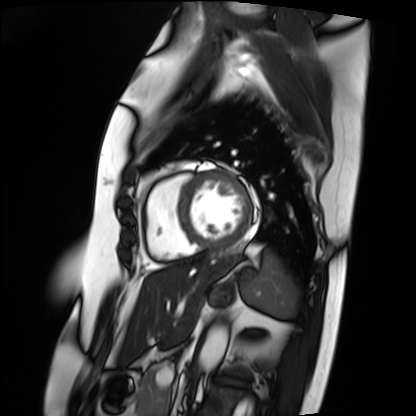
- modality · cardiac MRI
- subject group · patient